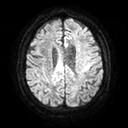
3 Tesla brain MRI. Series: diffusion tensor imaging (medium iso). Study: ring-enhancing brain masses.